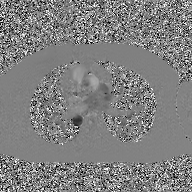
2D phase-contrast cine MRI of the ascending aorta, GAN super-resolution reconstruction.